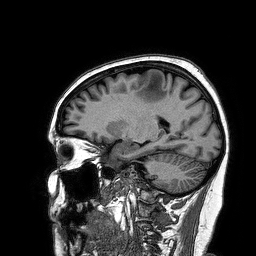
Q: What kind of scan is this?
A: 3 Tesla brain MRI.
Q: Series?
A: 3D T1-weighted turbo field echo.
Study: ring-enhancing brain masses.